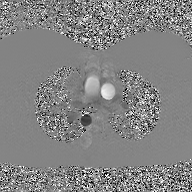
Summary: 2D phase-contrast cine MRI of the ascending aorta, GAN super-resolution reconstruction.